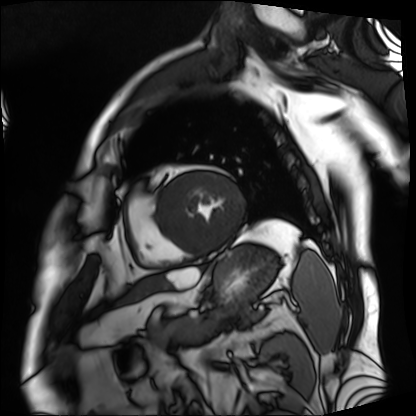
modality = cardiac MRI; subject group = patient.